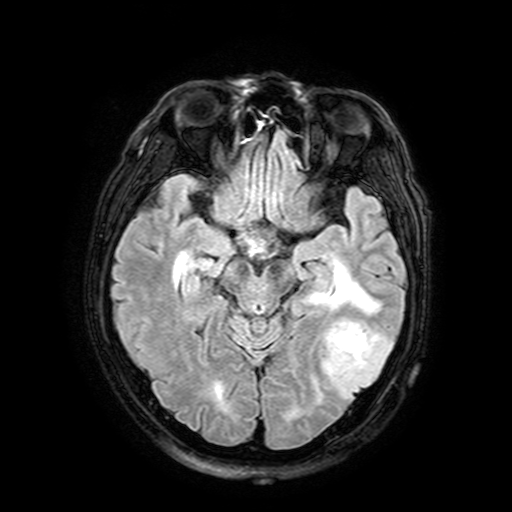
– modality: 3 Tesla brain MRI
– series: FLAIR with SPAIR, 3 mm
– study: ring-enhancing brain masses